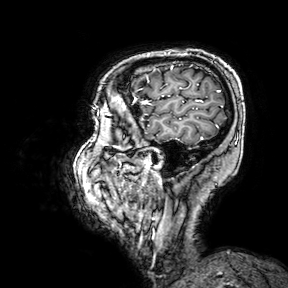
modality:
  type: brain MRI
  field_strength: 3T
series: 3D T1-weighted turbo field echo with SENSE
study_topic: ring-enhancing brain masses